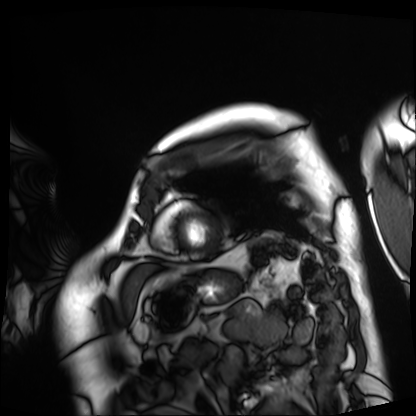
Q: What kind of scan is this?
A: Cardiac MRI.
Subject group: patient.